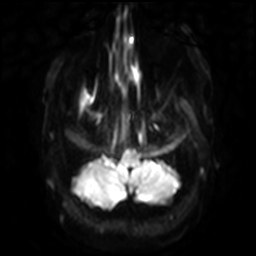
3 Tesla brain MRI. Series: diffusion-weighted imaging with SENSE (WIP). Study: ring-enhancing brain masses.